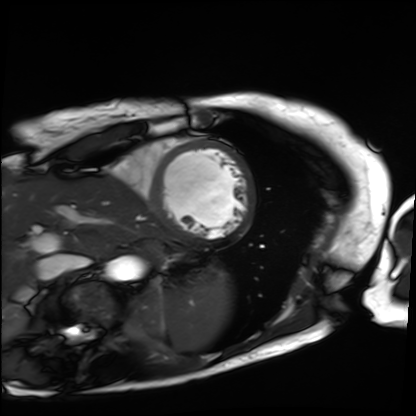
{
  "modality": "cardiac MRI",
  "cohort": "patient"
}